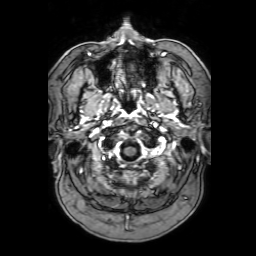
modality: 3 Tesla brain MRI; series: 3D T1-weighted with SENSE; study: ring-enhancing brain masses.